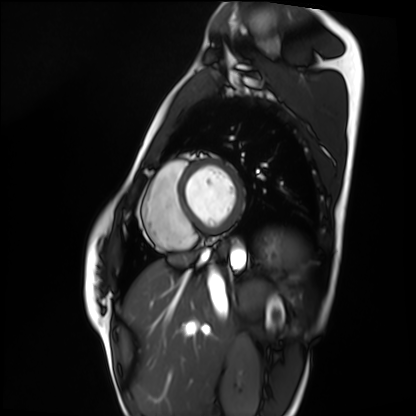
Cardiac MRI. Subject group: healthy volunteer.